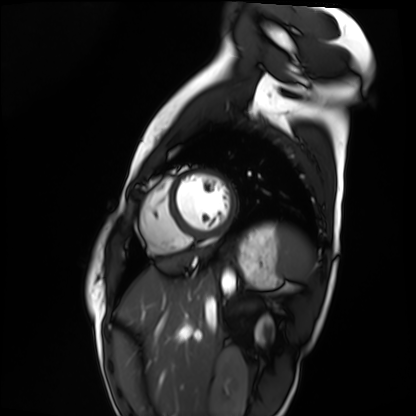
Clinical context:
Cardiac MRI. Subject group: healthy volunteer.